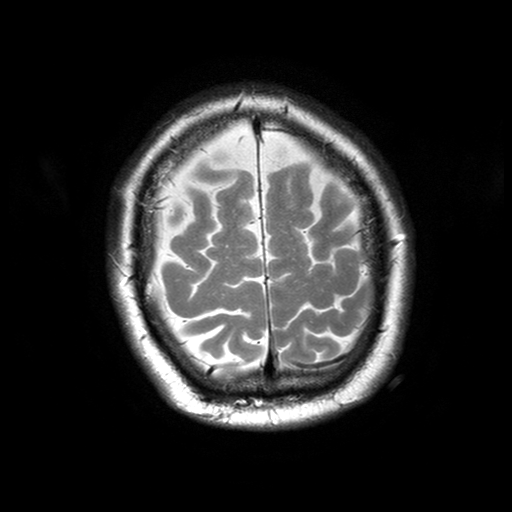
Summary:
3 Tesla brain MRI. Series: T2-weighted turbo spin echo with SENSE. Study: ring-enhancing brain masses.